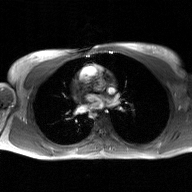
Summary: 2D phase-contrast cine MRI of the ascending aorta, GAN super-resolution reconstruction.